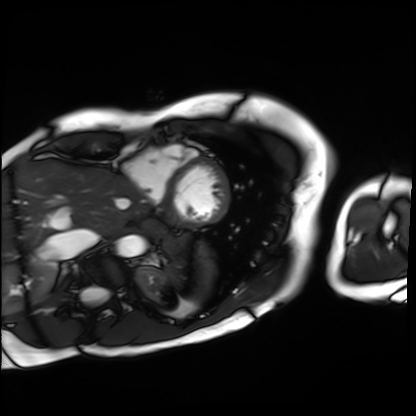
{
  "modality": "cardiac MRI",
  "cohort": "patient"
}